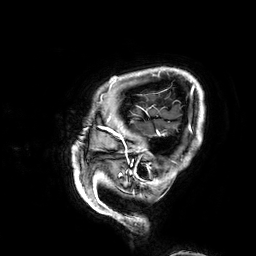
  modality:
    type: brain MRI
    field_strength: 3T
  study_topic: ring-enhancing brain masses